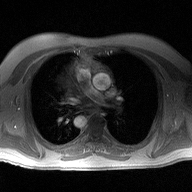
modality: 2D phase-contrast cine MRI of the ascending aorta.